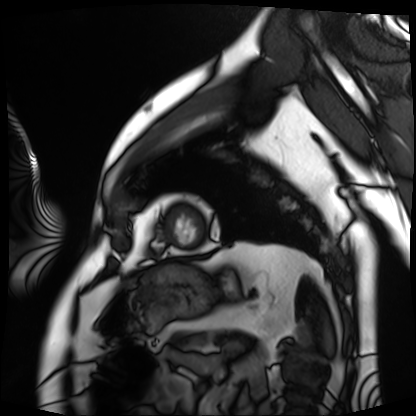
Cardiac MRI.
Subject group: patient.